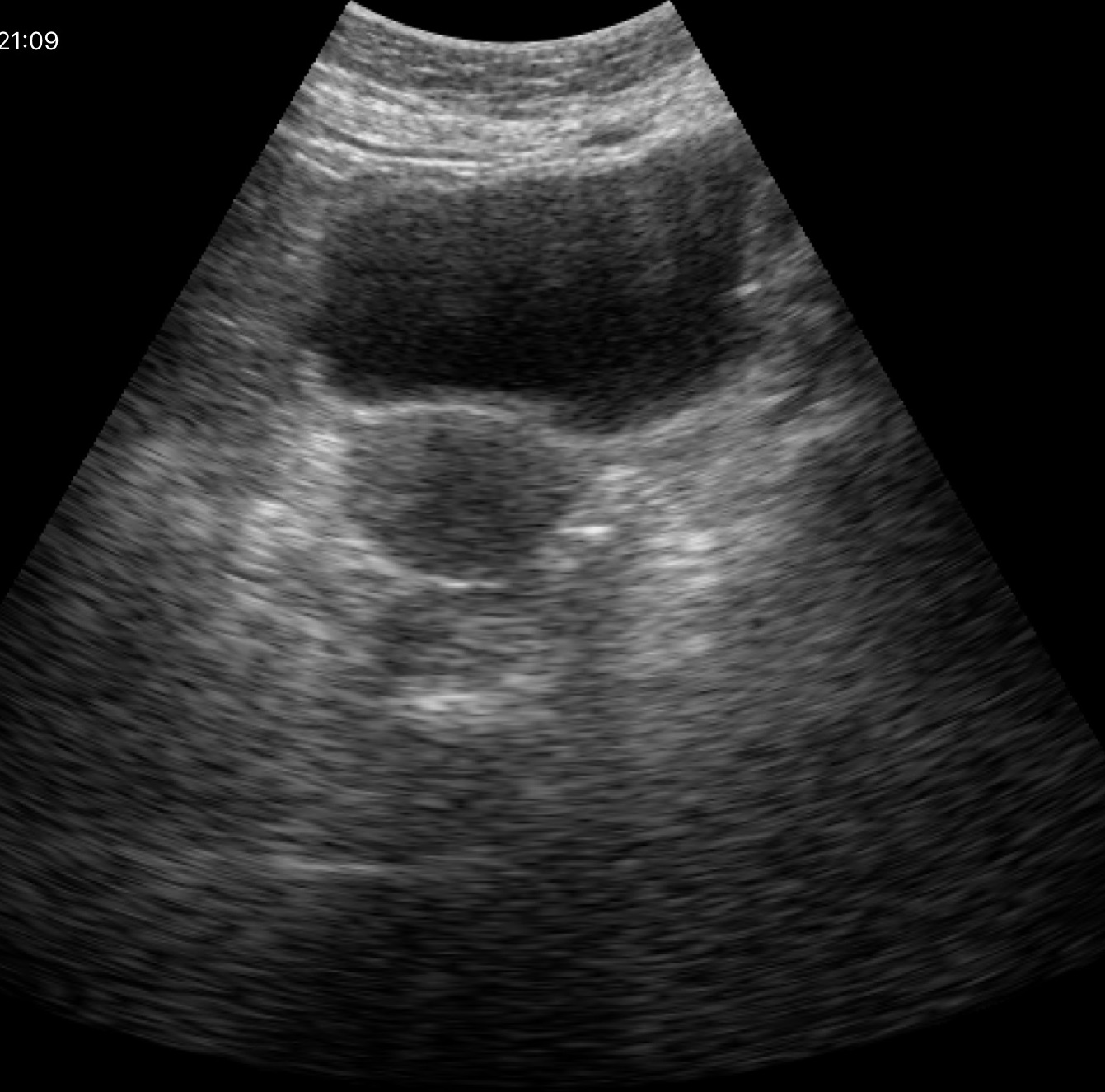
Clinical context:
Genitourinary ultrasound.